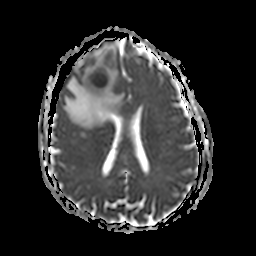
modality = 3 Tesla brain MRI; series = apparent diffusion coefficient (ADC) map; study = ring-enhancing brain masses.